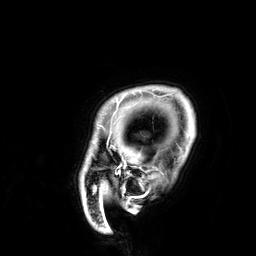
Q: What kind of scan is this?
A: 3 Tesla brain MRI.
Q: Series?
A: 3D T1-weighted.
Study: ring-enhancing brain masses.